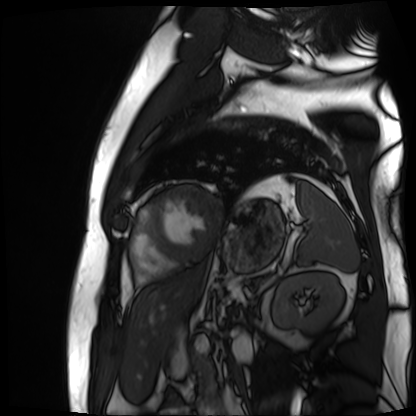
modality — cardiac MR image of the myocardium
subject cohort — cardiac patient